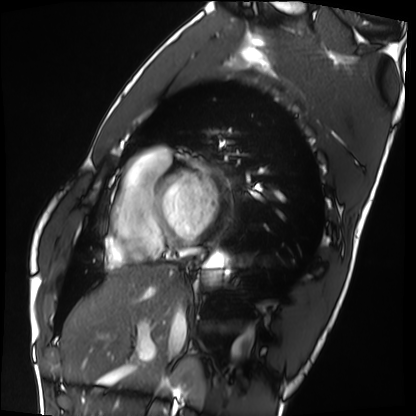
Cardiac MRI.
Subject group: healthy volunteer.